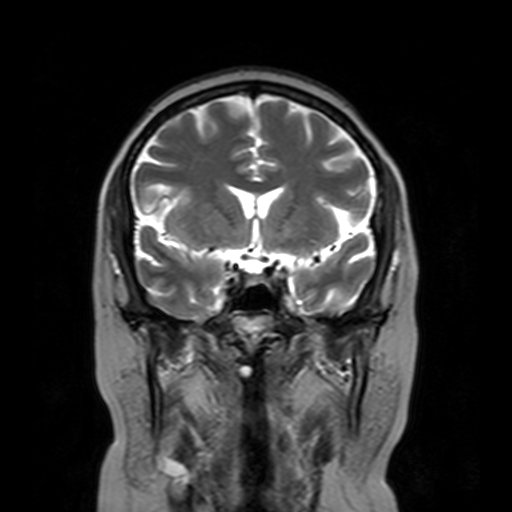
modality:
  type: brain MRI
  field_strength: 3T
series: T2-weighted turbo spin echo with SENSE
study_topic: ring-enhancing brain masses